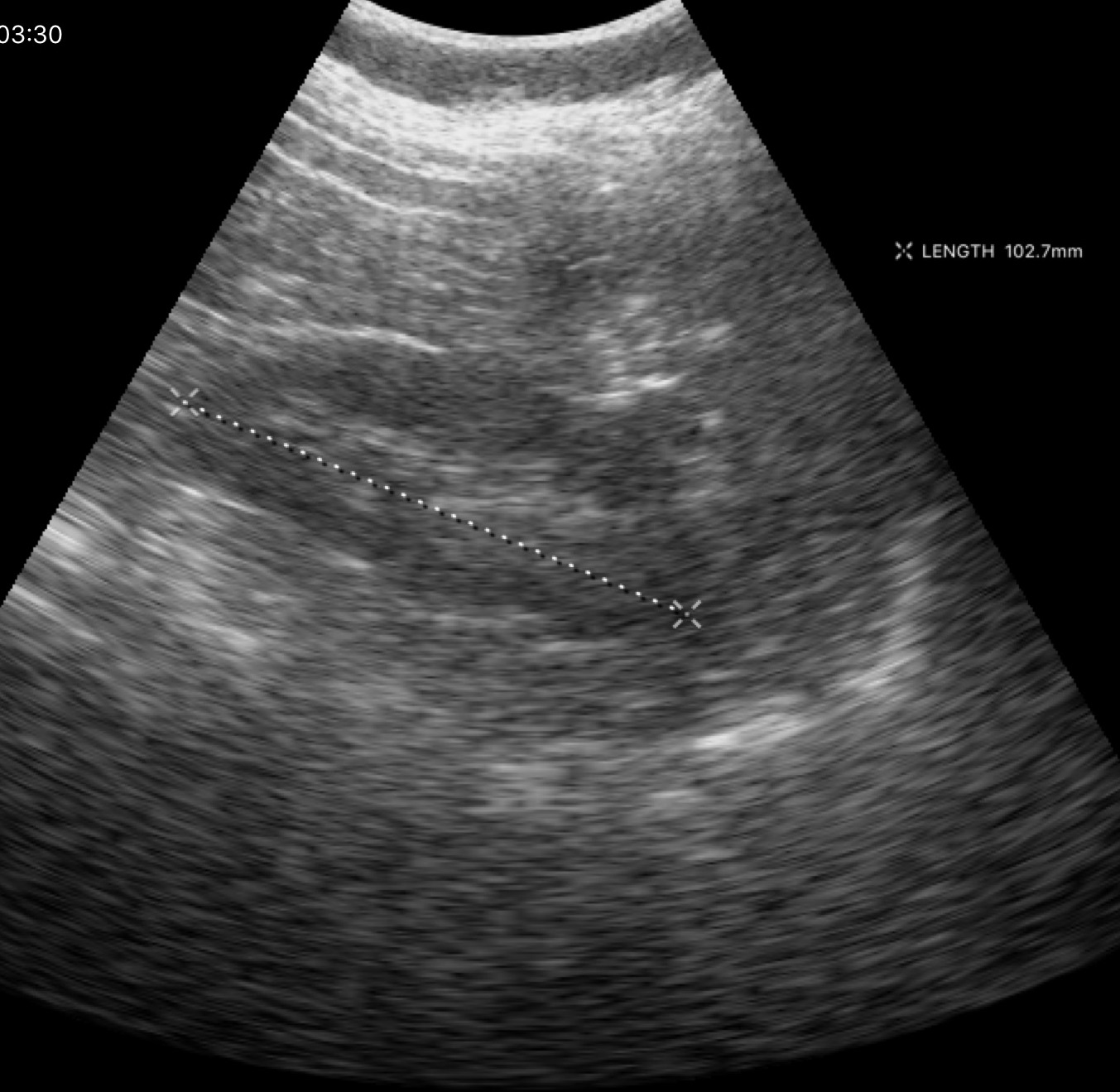
{"modality": {"type": "genitourinary ultrasound"}}